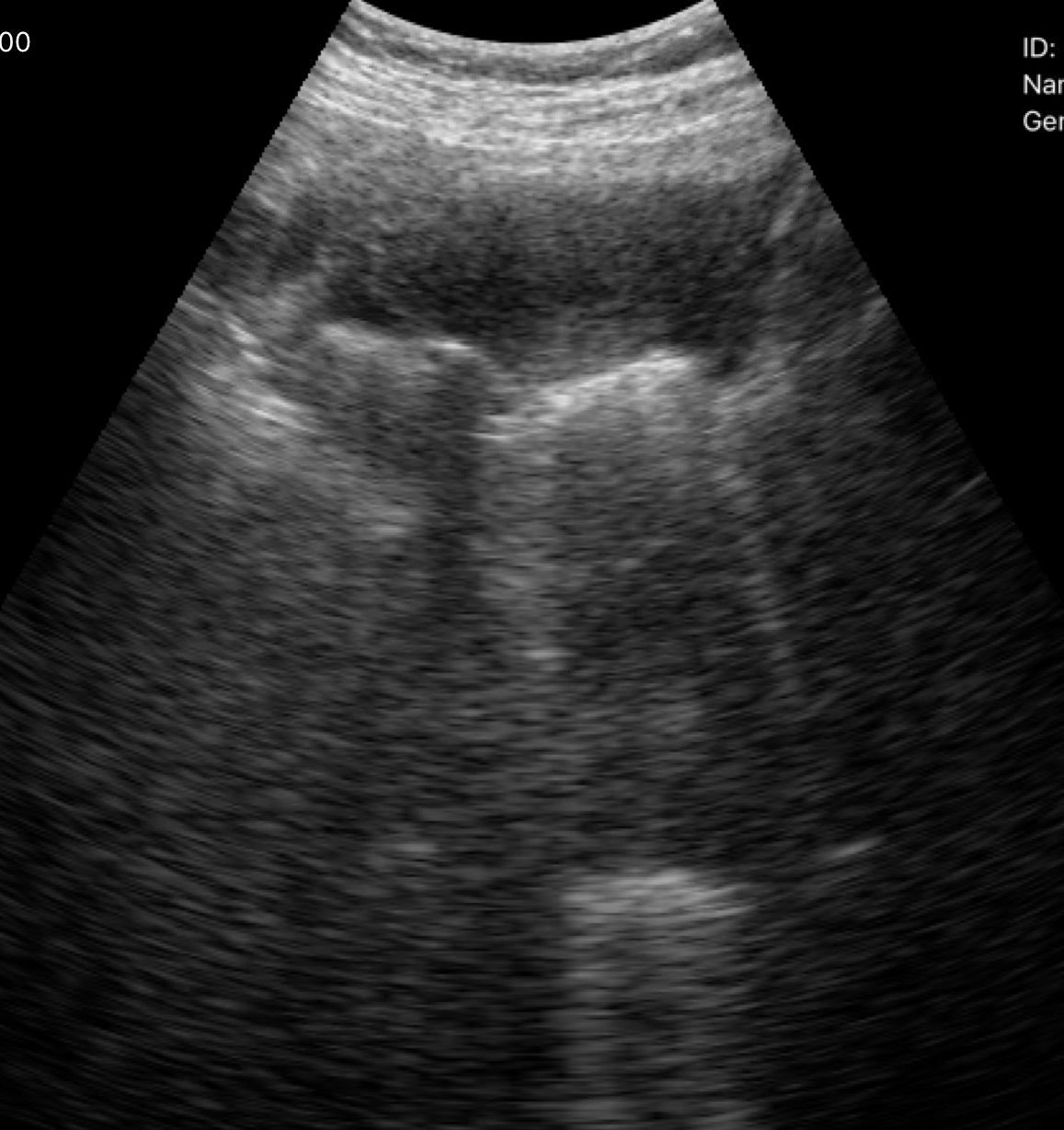
{"modality": {"type": "genitourinary ultrasound"}}